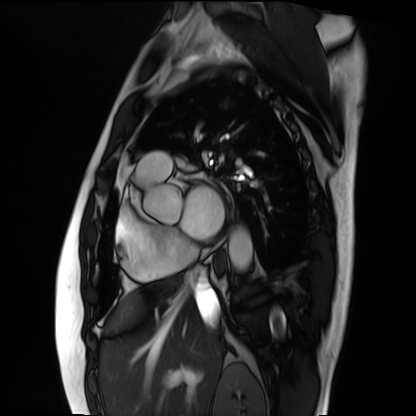
Summary: Cardiac MRI. Subject group: patient.